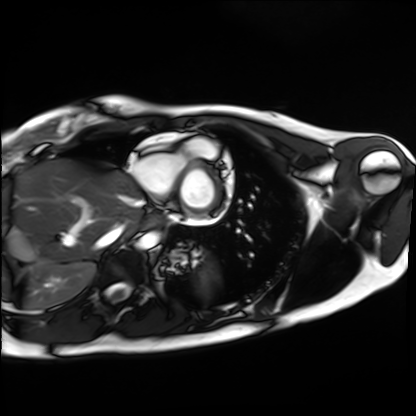
modality = cardiac MRI, subject group = healthy volunteer.